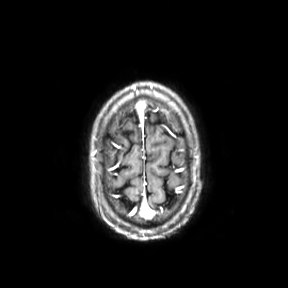
Summary: 3 Tesla brain MRI. Series: axial. Study: ring-enhancing brain masses.